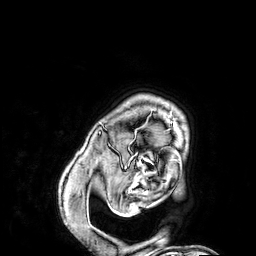
Summary:
3 Tesla brain MRI. Series: 3D T1-weighted. Study: ring-enhancing brain masses.